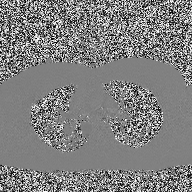
modality = 2D phase-contrast cine MRI of the ascending aorta